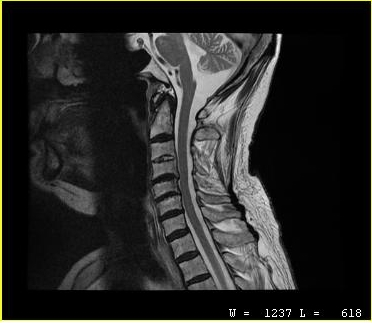
{"modality": {"type": "cervical spine MRI"}, "study_topic": "cervical spondylosis"}